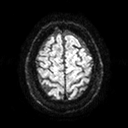
- modality — 3 Tesla brain MRI
- series — diffusion tensor imaging (medium iso)
- study — ring-enhancing brain masses